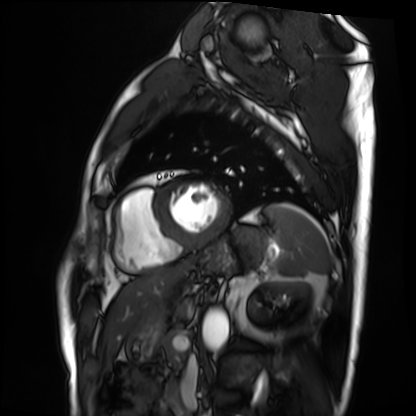
modality=cardiac MRI; subject group=patient.